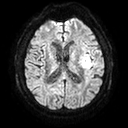
3 Tesla brain MRI. Series: diffusion tensor imaging (medium iso). Study: ring-enhancing brain masses.